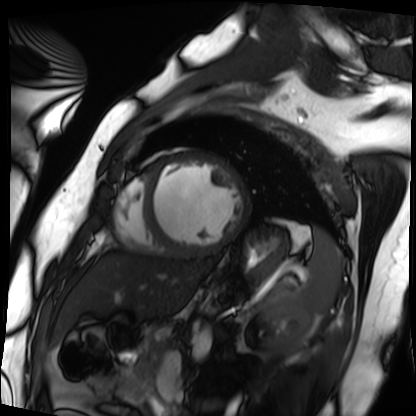
| field | value |
|---|---|
| modality | cardiac MRI |
| subject group | patient |